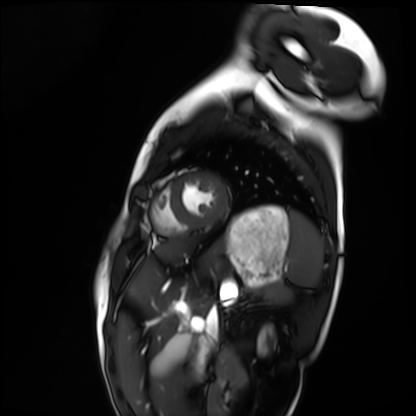
modality = cardiac MRI | subject group = healthy volunteer.